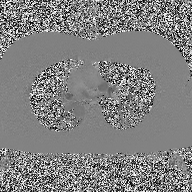
2D phase-contrast cine MRI of the ascending aorta, high-resolution GRAPPA acquisition.